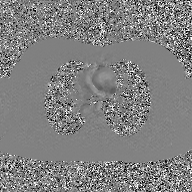
2D phase-contrast cine MRI of the ascending aorta, GAN super-resolution reconstruction.